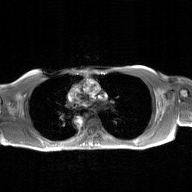
modality:
  type: 2D phase-contrast cine MRI
  region: ascending aorta
  reconstruction: GAN super-resolution reconstruction